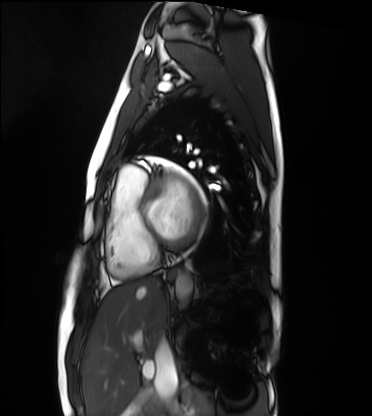
Case summary: Cardiac MRI. Subject group: healthy volunteer.